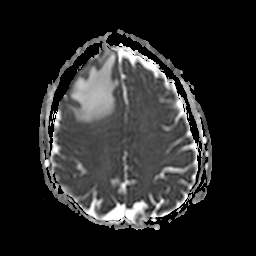
{"modality": {"type": "brain MRI", "field_strength": "3T"}, "series": "apparent diffusion coefficient (ADC) map", "study_topic": "ring-enhancing brain masses"}